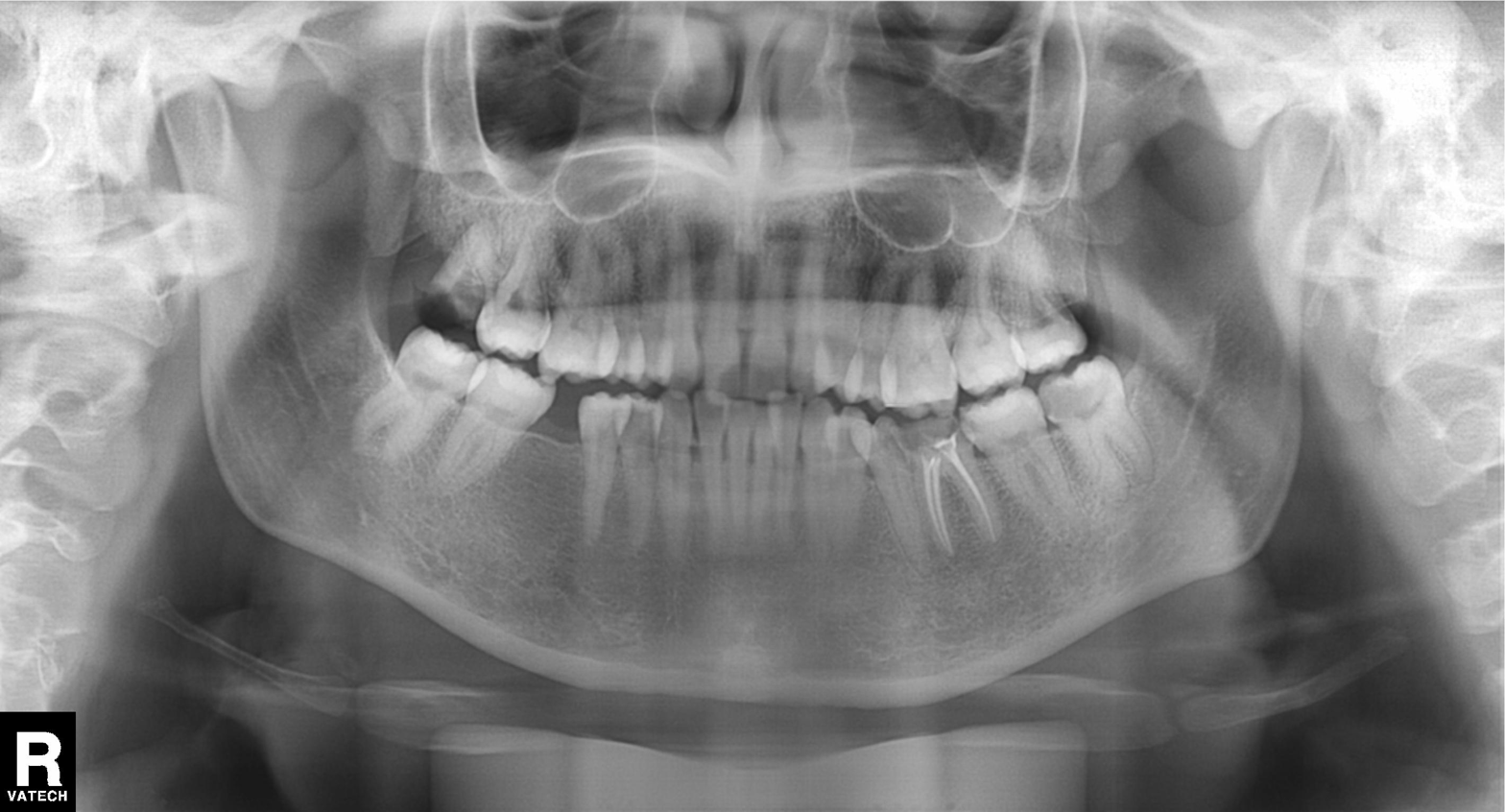
Panoramic dental radiograph (orthopantomogram).
Finding: tooth impaction.